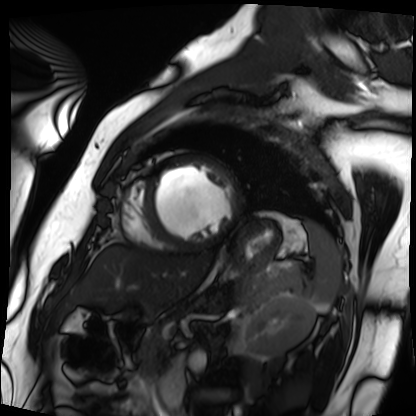
Cardiac MRI.
Subject group: patient.